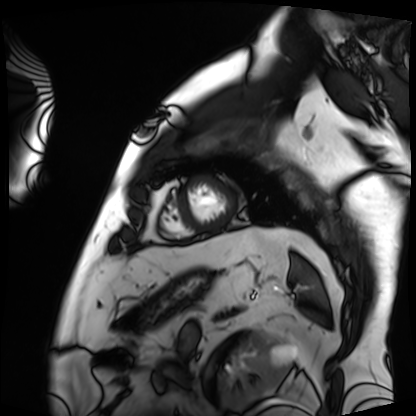
Cardiac MRI.
Subject group: patient.